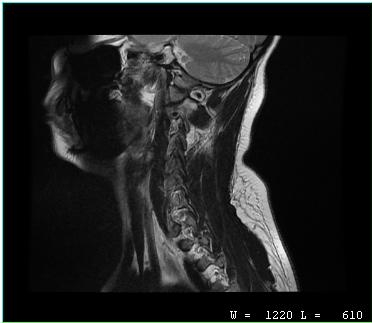
Case summary: MRI of the cervical spine. Study: cervical spondylosis.